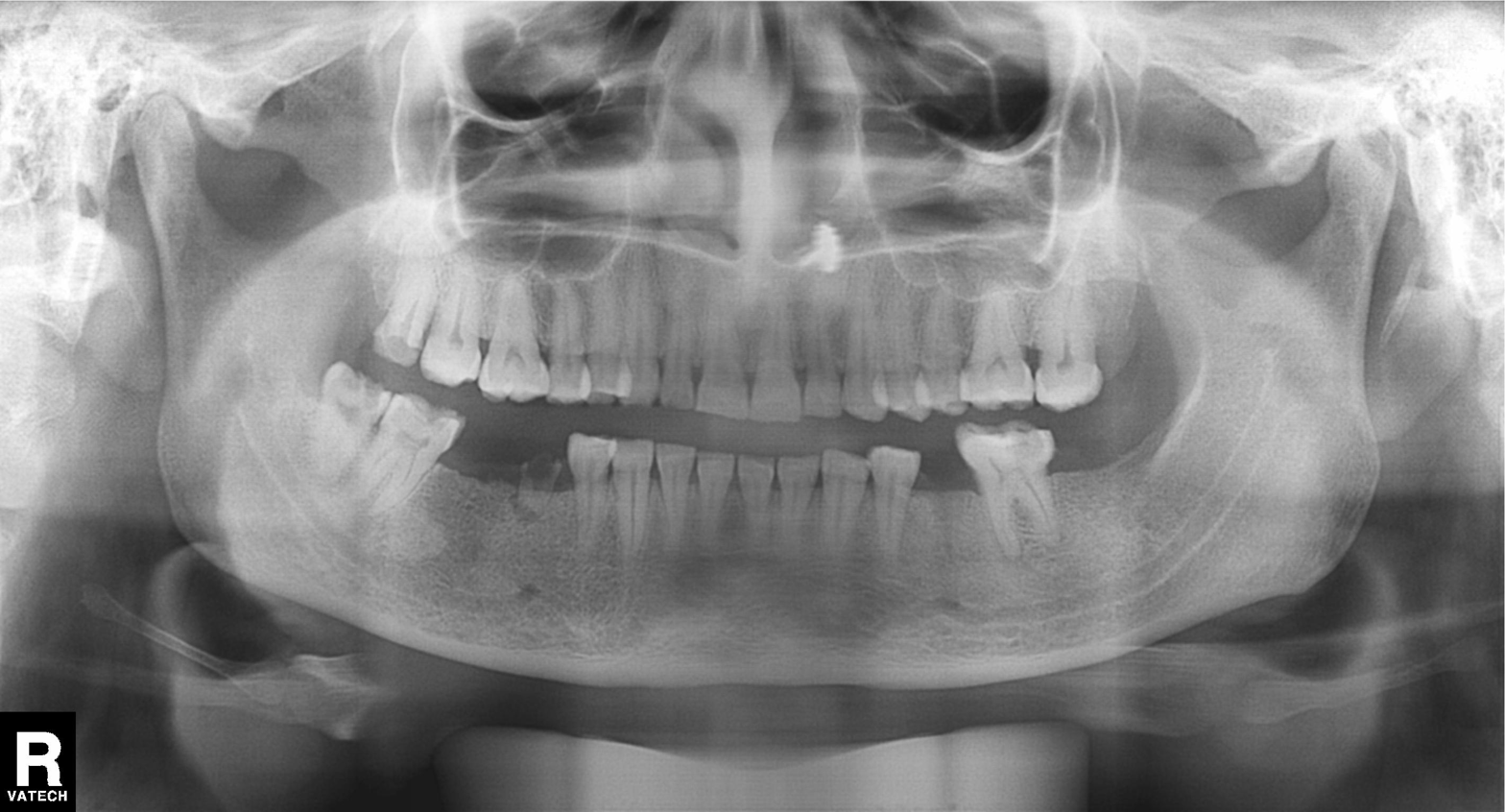
Q: What kind of scan is this?
A: Panoramic dental radiograph (orthopantomogram).
Q: What is the radiographic finding?
A: Alveolar bone loss.